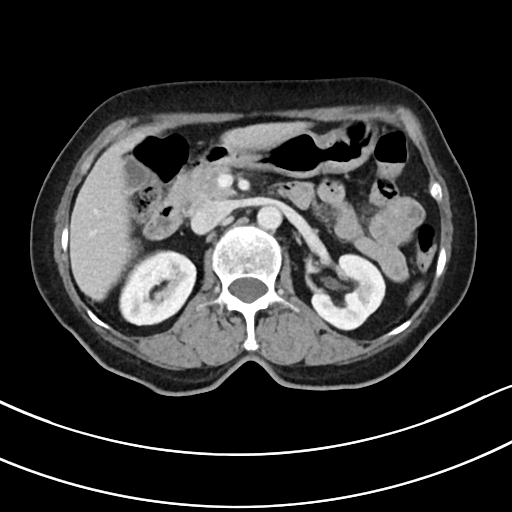
modality = multiphase abdominal CT, liver, portal venous phase; patient = female, age 75.